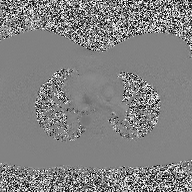
Q: What kind of scan is this?
A: 2D phase-contrast cine MRI of the ascending aorta.